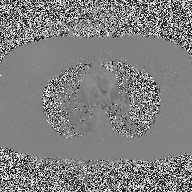
Case:
– modality · 2D phase-contrast cine MRI of the ascending aorta